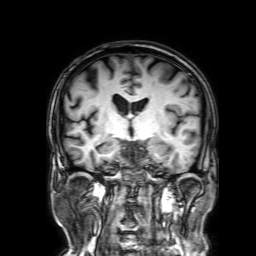
3 Tesla brain MRI. Series: 3D T1-weighted with SENSE. Study: ring-enhancing brain masses.